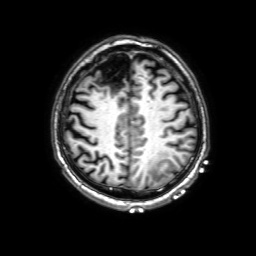
• modality: 3 Tesla brain MRI
• series: 3D T1-weighted with SENSE
• study: ring-enhancing brain masses